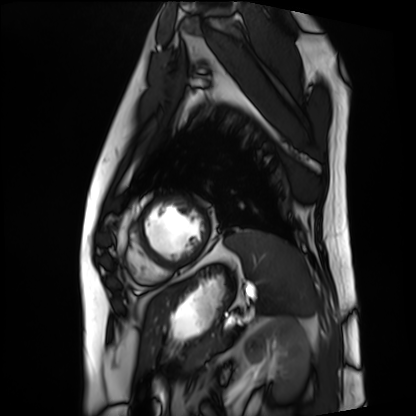
Q: What kind of scan is this?
A: Cardiac MRI.
Subject group: patient.